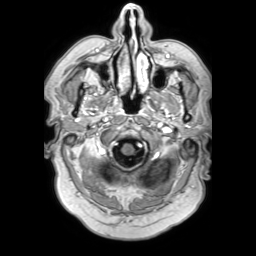
3 Tesla brain MRI. Series: 3D T1-weighted TFE with SENSE. Study: ring-enhancing brain masses.